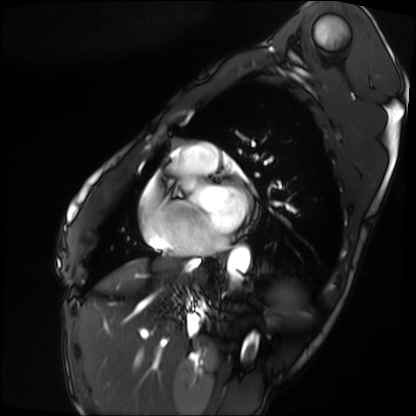
Cardiac MRI. Subject group: patient.